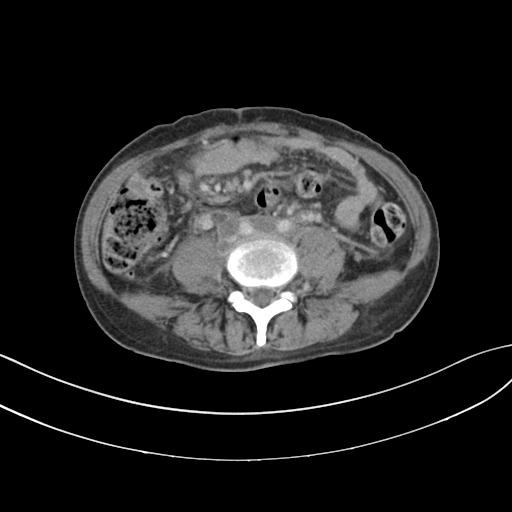
{
  "modality": {
    "type": "multiphase abdominal CT",
    "region": "liver",
    "phase": "delayed"
  },
  "patient": {
    "sex": "female",
    "age": 59
  }
}